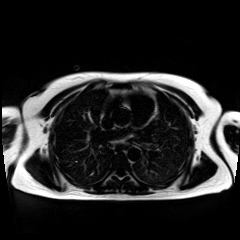
  modality: chemical-shift-encoded cardiac MRI